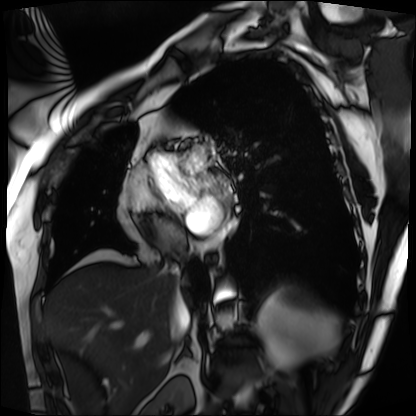
Cardiac MRI.
Subject group: patient.